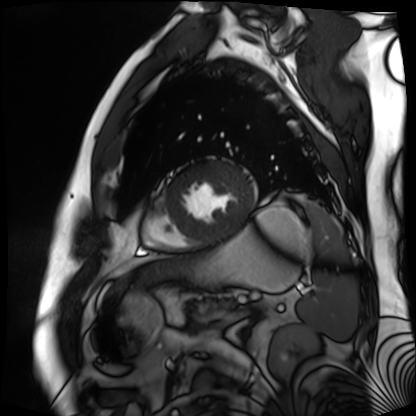
Cardiac MR image of the myocardium. Subject cohort: cardiac patient.